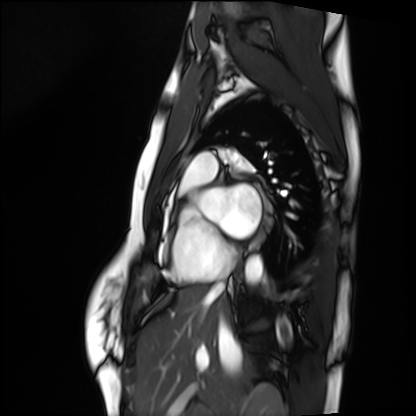
Summary: Cardiac MRI. Subject group: healthy volunteer.